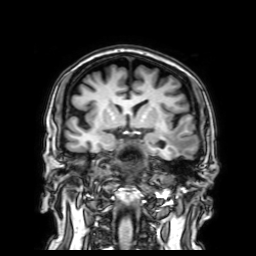
Clinical context: 3 Tesla brain MRI. Series: 3D T1-weighted with SENSE. Study: ring-enhancing brain masses.